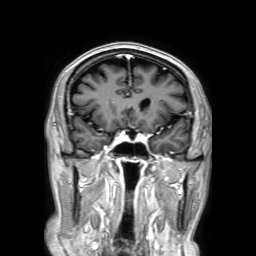
Q: What kind of scan is this?
A: 3 Tesla brain MRI.
Study: ring-enhancing brain masses.